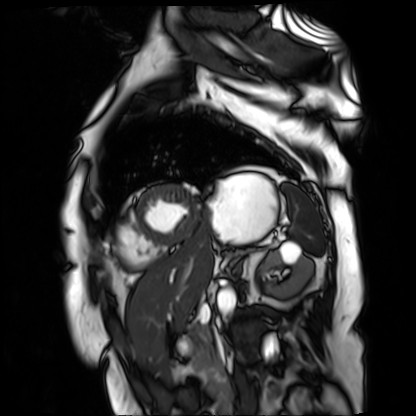
modality = cardiac MR image of the myocardium; subject cohort = cardiac patient.